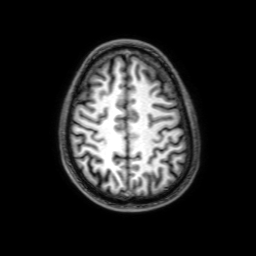
modality — 3 Tesla brain MRI; series — 3D T1-weighted with SENSE; study — ring-enhancing brain masses.